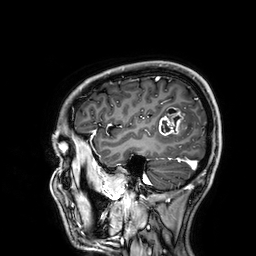
modality=3 Tesla brain MRI | series=3D T1-weighted | study=ring-enhancing brain masses.